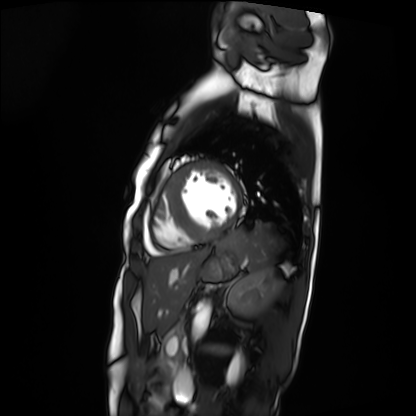
modality = cardiac MRI, subject group = patient.